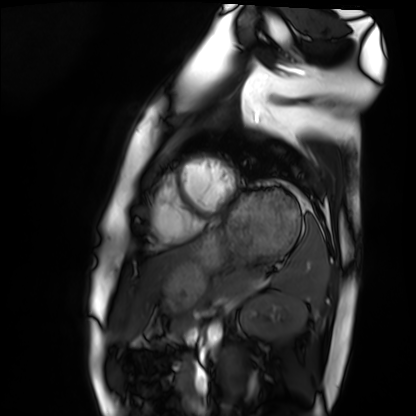
<case>
  <modality>cardiac MRI</modality>
  <cohort>healthy volunteer</cohort>
</case>